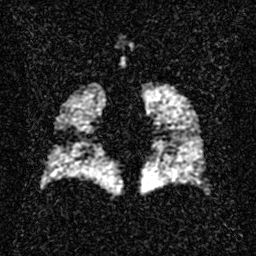
Hyperpolarized 129Xe ventilation MRI of the lungs. SNR level 2 of 8 (the deposit holds this scan as its native image and as seven SNR-degraded versions).